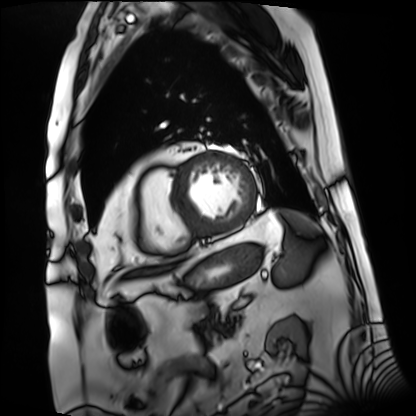
Case summary: Cardiac MRI. Subject group: patient.